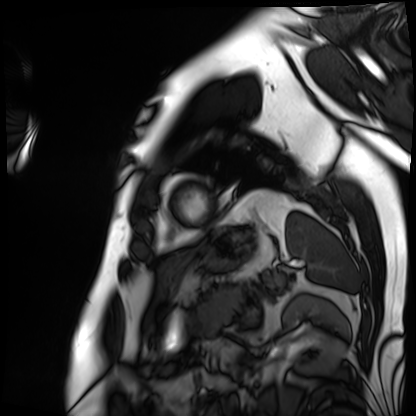
<scan>
  <modality>cardiac MRI</modality>
  <cohort>patient</cohort>
</scan>